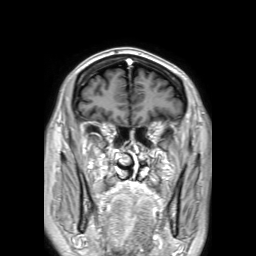
3 Tesla brain MRI. Series: 3D T1-weighted TFE with SENSE. Study: ring-enhancing brain masses.